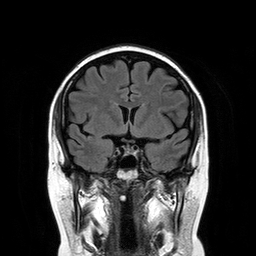
Clinical context:
3 Tesla brain MRI. Series: T2-weighted FLAIR. Study: ring-enhancing brain masses.